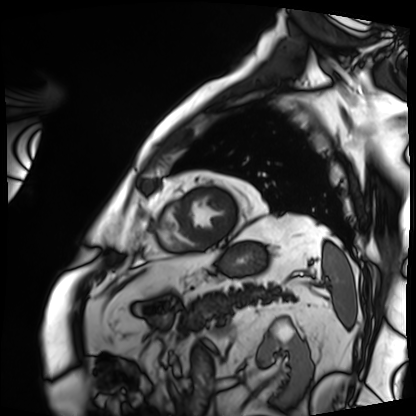
modality: cardiac MRI, subject group: patient.